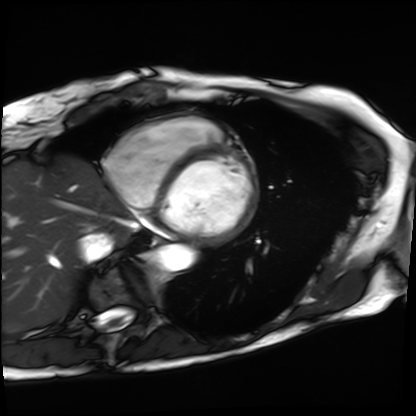
Cardiac MRI.
Subject group: patient.